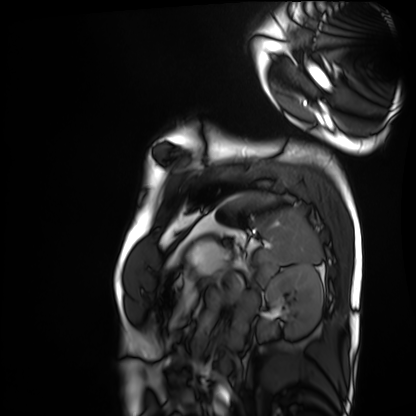
<record>
  <modality>cardiac MRI</modality>
  <cohort>healthy volunteer</cohort>
</record>